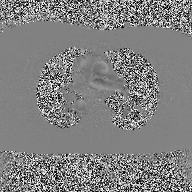
– modality — 2D phase-contrast cine MRI of the ascending aorta